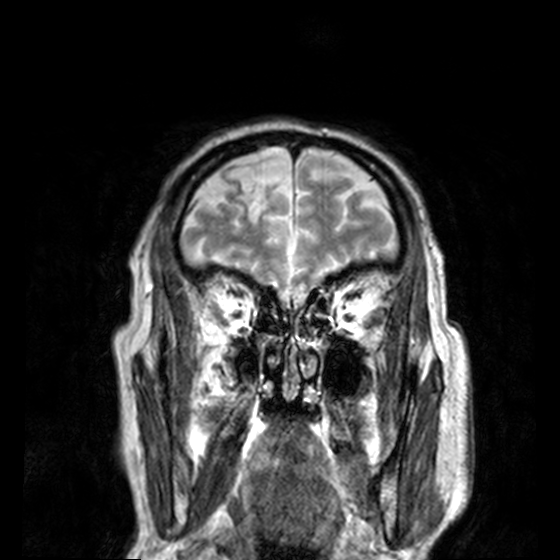
Case:
• modality: 3 Tesla brain MRI
• series: T2-weighted turbo spin echo, 3 mm
• study: ring-enhancing brain masses